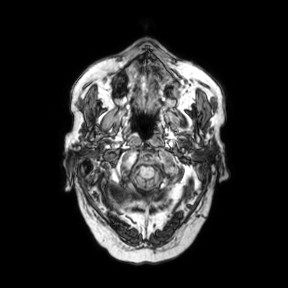
3 Tesla brain MRI. Series: axial. Study: ring-enhancing brain masses.